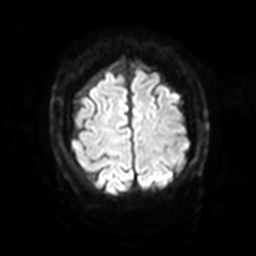
modality: 3 Tesla brain MRI | series: diffusion-weighted imaging with SENSE (WIP) | study: ring-enhancing brain masses.